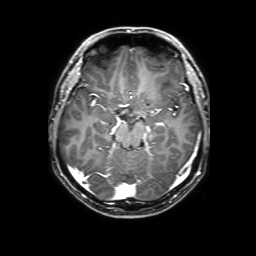
<study>
  <modality>
    <type>brain MRI</type>
    <field_strength>3T</field_strength>
  </modality>
  <series>3D T1-weighted with SENSE</series>
  <study_topic>ring-enhancing brain masses</study_topic>
</study>